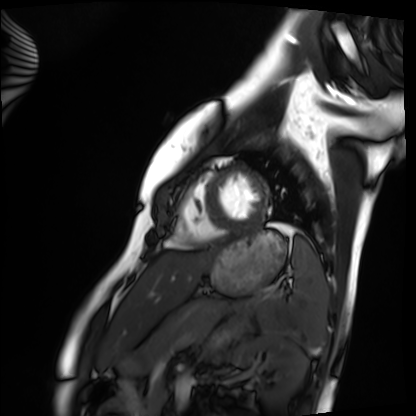
modality: cardiac MRI
cohort: healthy volunteer